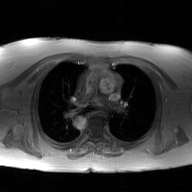
Q: What kind of scan is this?
A: 2D phase-contrast cine MRI of the ascending aorta, GAN super-resolution reconstruction.